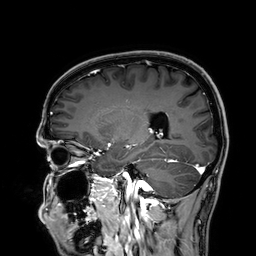
3 Tesla brain MRI.
Series: 3D T1-weighted.
Study: ring-enhancing brain masses.